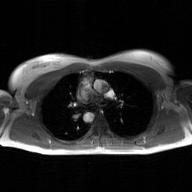
2D phase-contrast cine MRI of the ascending aorta, GAN super-resolution reconstruction.